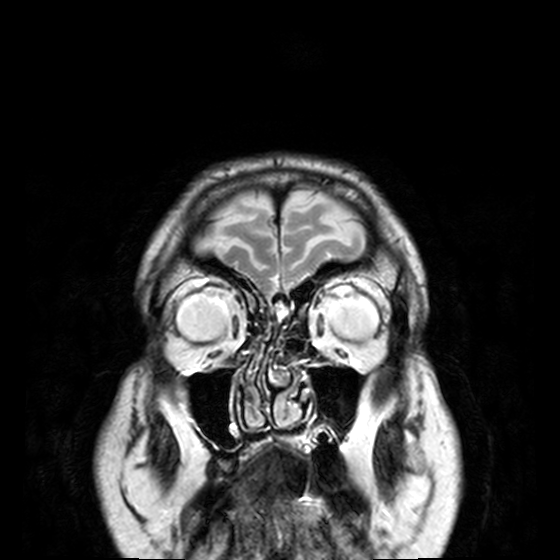
3 Tesla brain MRI. Series: T2-weighted turbo spin echo, 3 mm. Study: ring-enhancing brain masses.